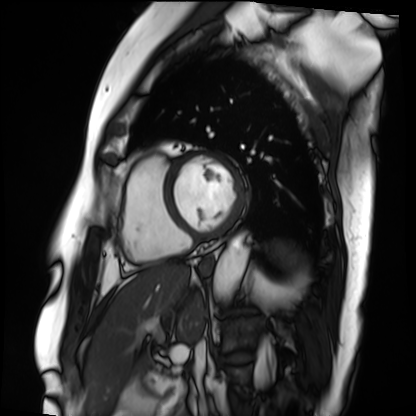
| field | value |
|---|---|
| modality | cardiac MRI |
| subject group | patient |